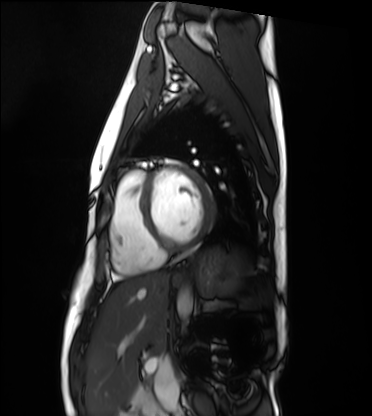
Case summary:
Cardiac MRI. Subject group: healthy volunteer.